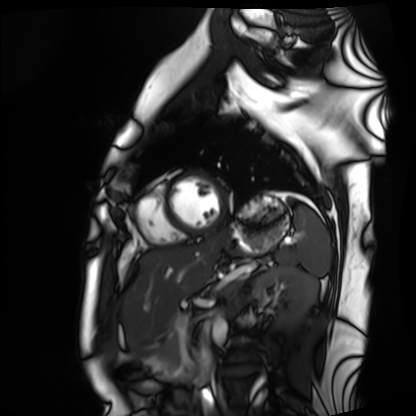
Case summary: Cardiac MRI. Subject group: healthy volunteer.